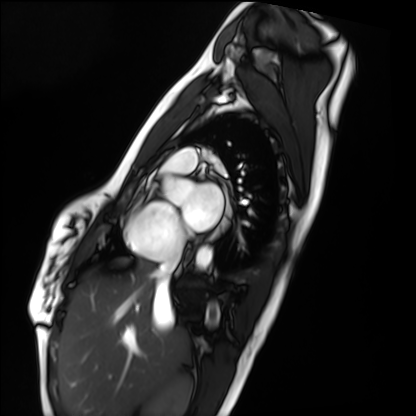
Q: What kind of scan is this?
A: Cardiac MRI.
Subject group: healthy volunteer.